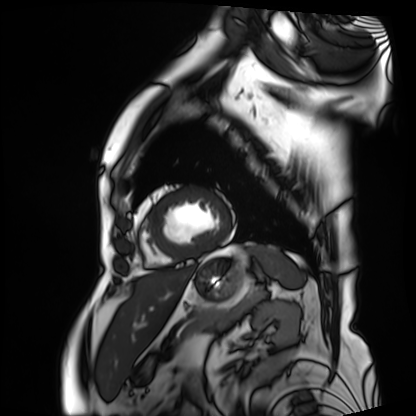
Cardiac MRI.
Subject group: patient.